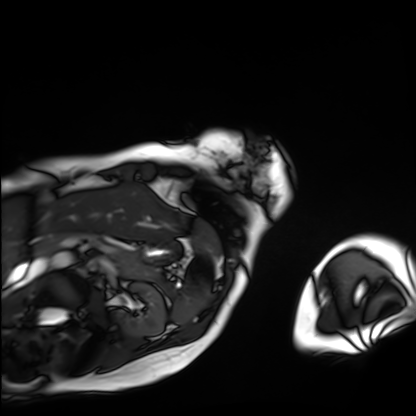
Clinical context:
Cardiac MRI. Subject group: patient.